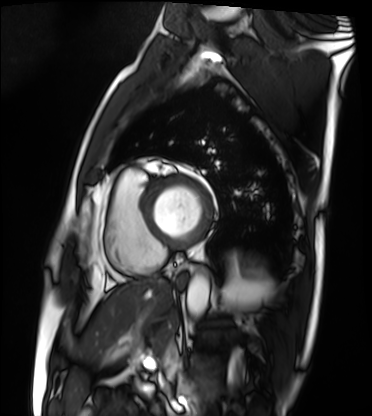
– modality — cardiac MRI
– subject group — patient